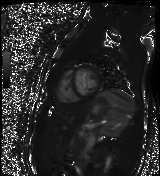
modality = cardiac MR image of the myocardium
subject cohort = healthy volunteer